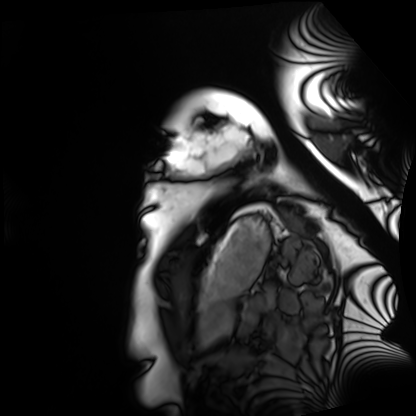
Clinical context: Cardiac MRI. Subject group: healthy volunteer.